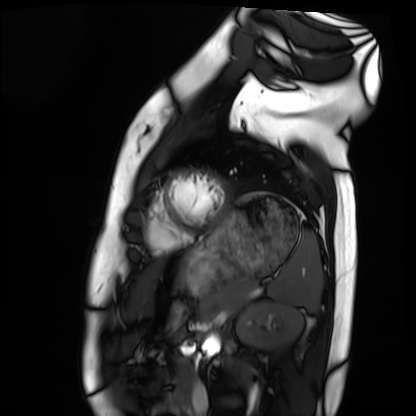
Summary:
Cardiac MRI. Subject group: healthy volunteer.